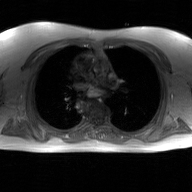
- modality: 2D phase-contrast cine MRI of the ascending aorta, GAN super-resolution reconstruction